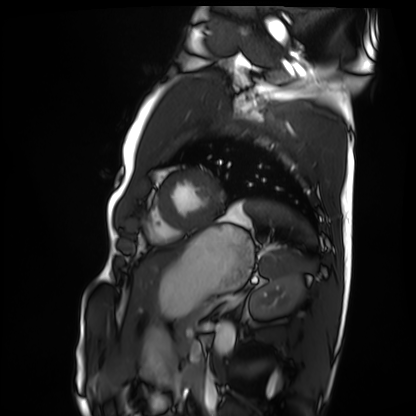
modality=cardiac MRI | subject group=healthy volunteer.